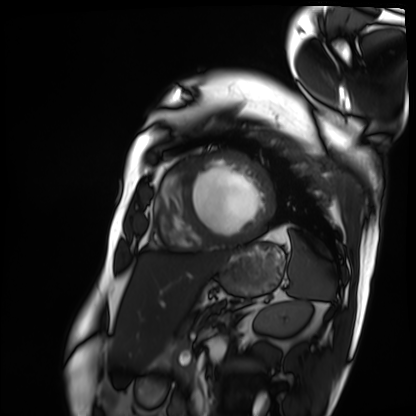
<scan>
  <modality>cardiac MRI</modality>
  <cohort>patient</cohort>
</scan>